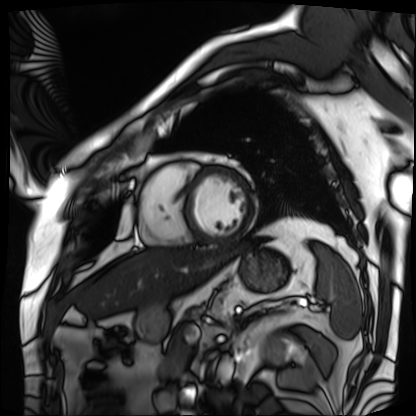
modality: cardiac MRI; subject group: patient.